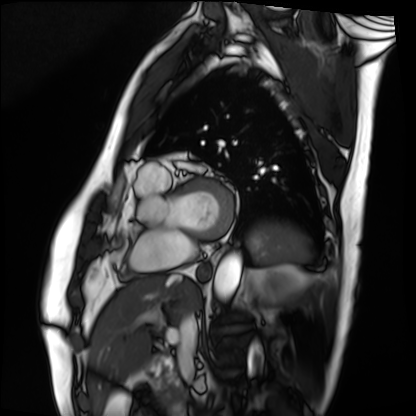
Cardiac MRI. Subject group: patient.